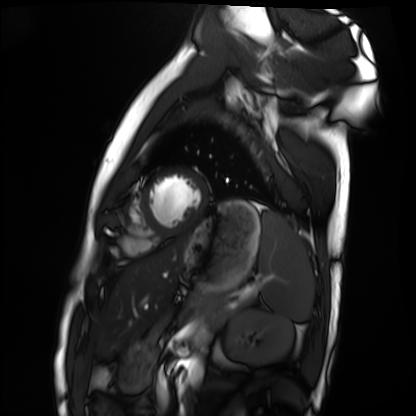
Cardiac MRI. Subject group: healthy volunteer.